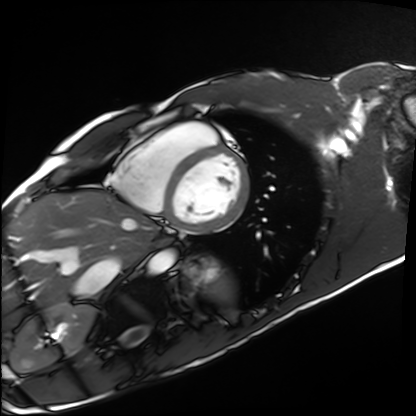
Cardiac MRI.
Subject group: healthy volunteer.